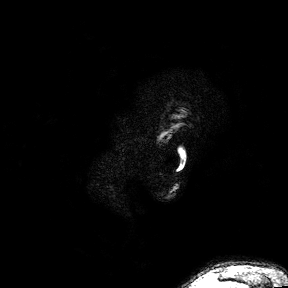
modality: 3 Tesla brain MRI | series: 3D T1-weighted turbo field echo with SENSE | study: ring-enhancing brain masses.